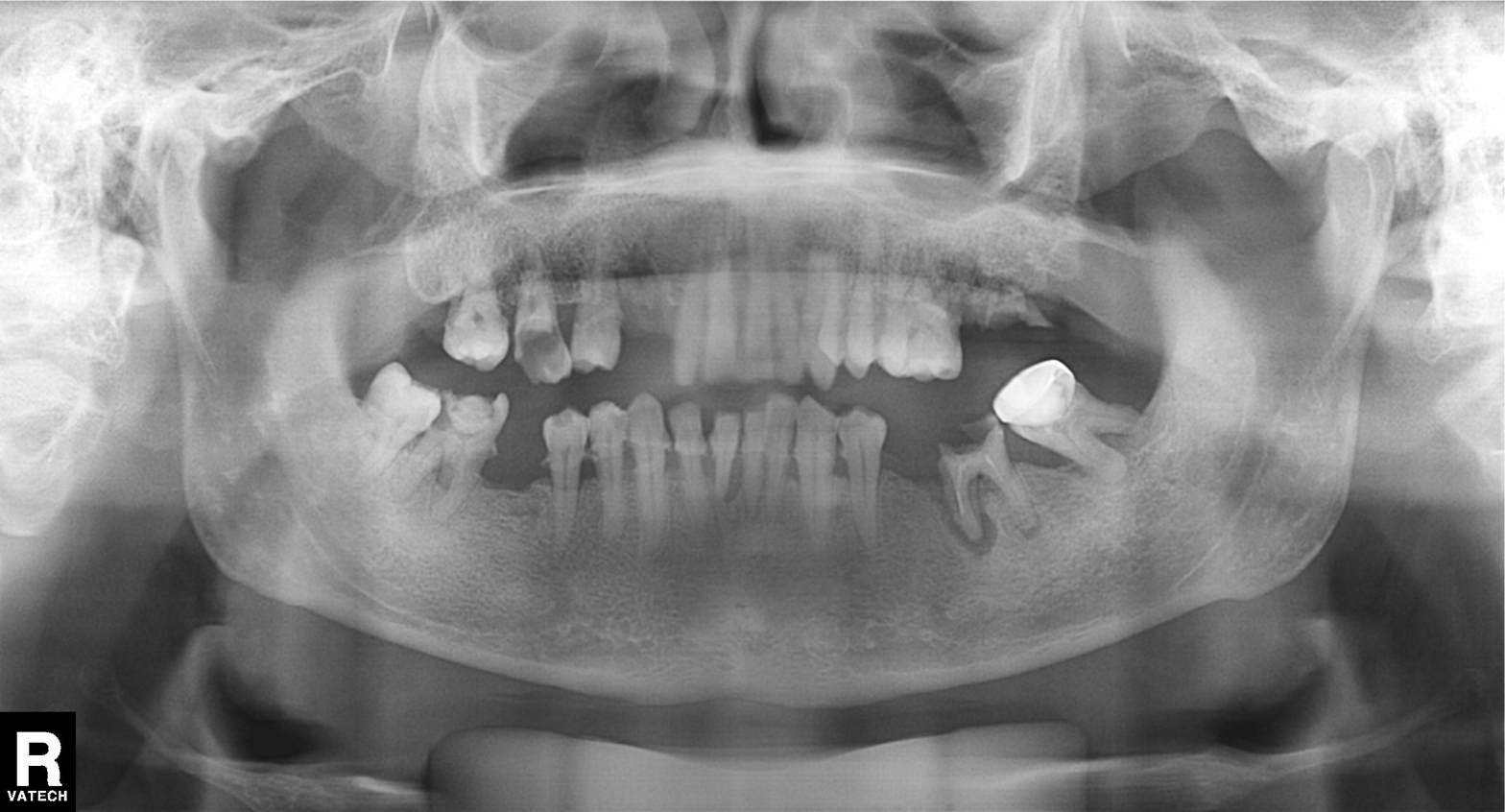
Case:
– modality — panoramic dental radiograph (orthopantomogram)
– finding — alveolar bone loss